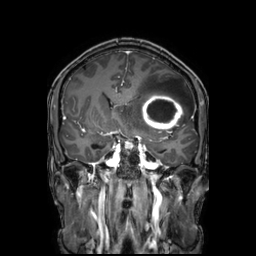
3 Tesla brain MRI. Series: 3D T1-weighted TFE with SENSE. Study: ring-enhancing brain masses.